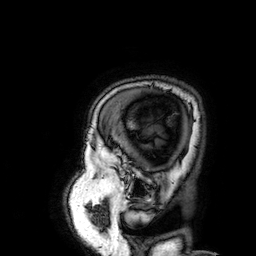
modality = 3 Tesla brain MRI; series = 3D T1-weighted; study = ring-enhancing brain masses.